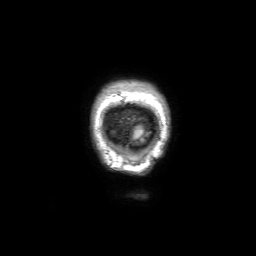
<record>
  <modality>
    <type>brain MRI</type>
    <field_strength>3T</field_strength>
  </modality>
  <series>3D T1-weighted with SENSE</series>
  <study_topic>ring-enhancing brain masses</study_topic>
</record>